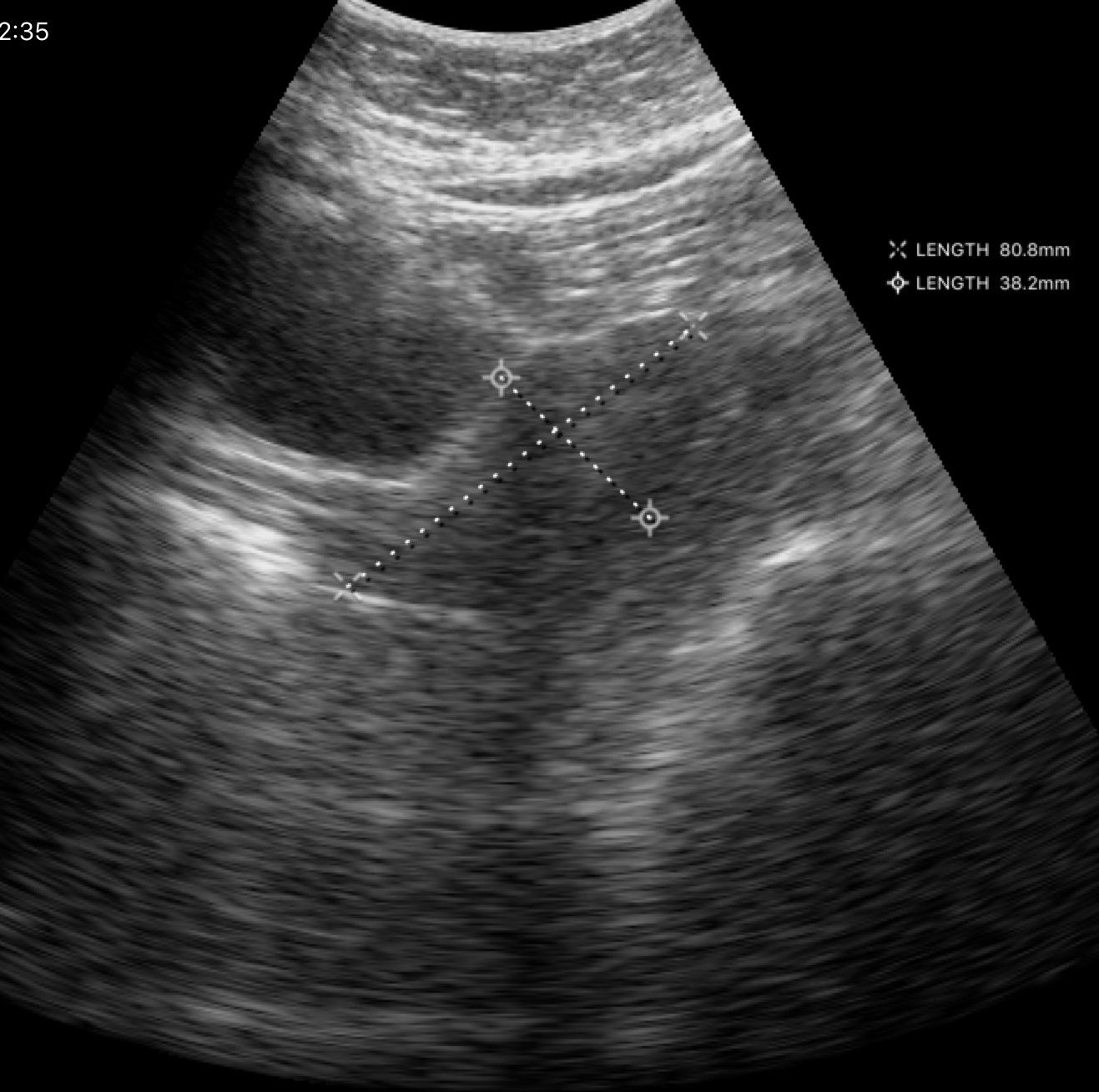
Genitourinary ultrasound.